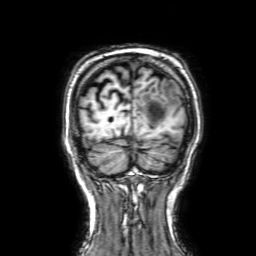
Q: What kind of scan is this?
A: 3 Tesla brain MRI.
Q: Series?
A: 3D T1-weighted with SENSE.
Study: ring-enhancing brain masses.